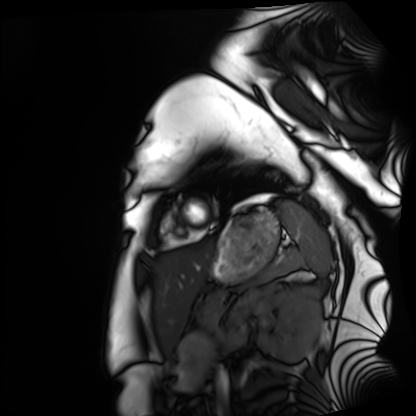
Summary: Cardiac MRI. Subject group: healthy volunteer.